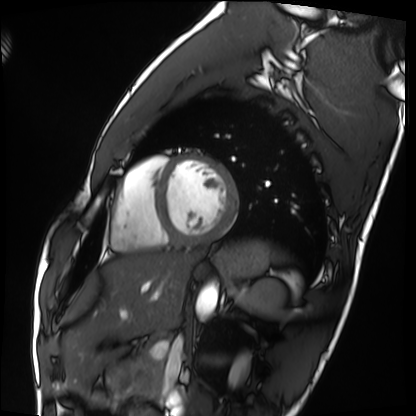
<scan>
<modality>cardiac MRI</modality>
<cohort>healthy volunteer</cohort>
</scan>